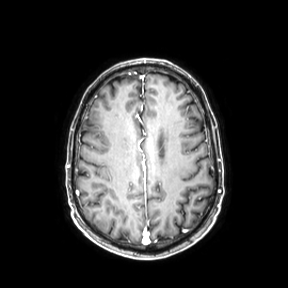
{
  "modality": {
    "type": "brain MRI",
    "field_strength": "3T"
  },
  "series": "axial",
  "study_topic": "ring-enhancing brain masses"
}